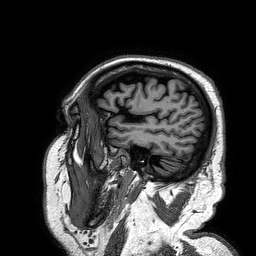
<study>
<modality>
  <type>brain MRI</type>
  <field_strength>3T</field_strength>
</modality>
<series>3D T1-weighted turbo field echo</series>
<study_topic>ring-enhancing brain masses</study_topic>
</study>